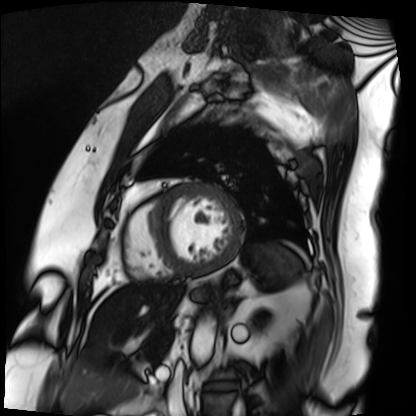
Summary: Cardiac MRI. Subject group: patient.